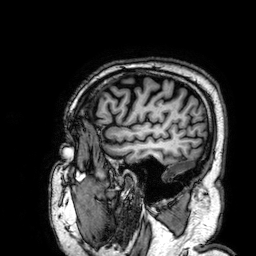
<scan>
  <modality>
    <type>brain MRI</type>
    <field_strength>3T</field_strength>
  </modality>
  <study_topic>ring-enhancing brain masses</study_topic>
</scan>